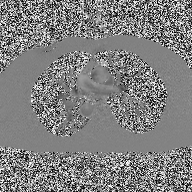
2D phase-contrast cine MRI of the ascending aorta, high-resolution GRAPPA acquisition.